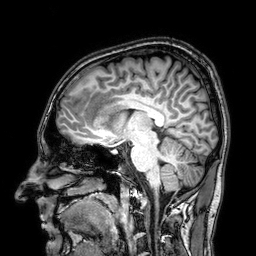
3 Tesla brain MRI.
Series: 3D T1-weighted.
Study: ring-enhancing brain masses.